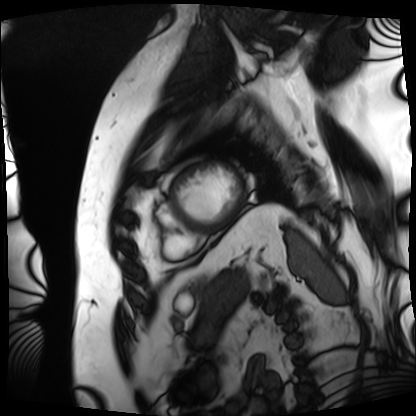
- modality · cardiac MRI
- subject group · patient